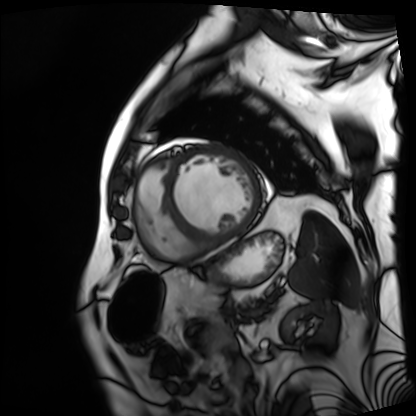
<scan>
<modality>cardiac MRI</modality>
<cohort>patient</cohort>
</scan>